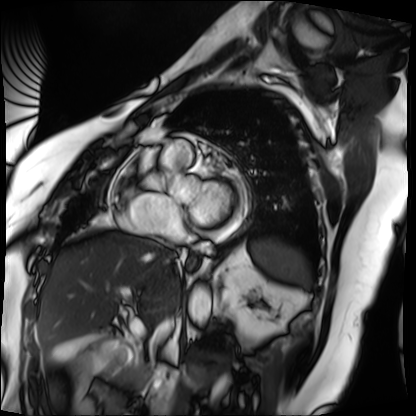
<study>
  <modality>cardiac MRI</modality>
  <cohort>patient</cohort>
</study>